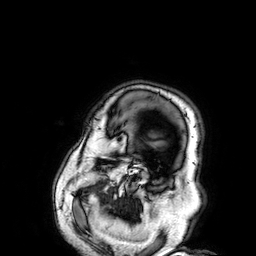
<study>
  <modality>
    <type>brain MRI</type>
    <field_strength>3T</field_strength>
  </modality>
  <series>3D T1-weighted</series>
  <study_topic>ring-enhancing brain masses</study_topic>
</study>